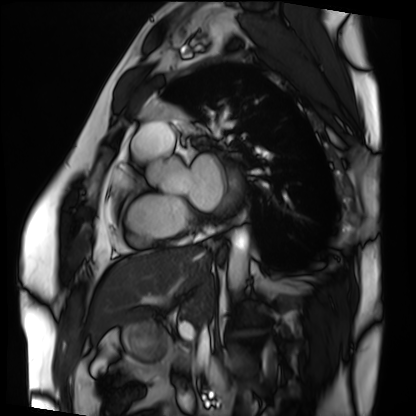
Case:
- modality — cardiac MRI
- subject group — patient